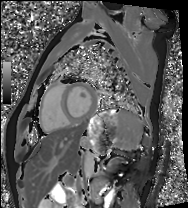
Q: What kind of scan is this?
A: Cardiac MRI.
Subject group: healthy volunteer.